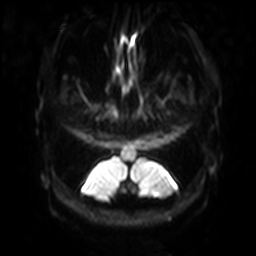
Case summary:
3 Tesla brain MRI. Series: diffusion-weighted imaging with SENSE (WIP). Study: ring-enhancing brain masses.